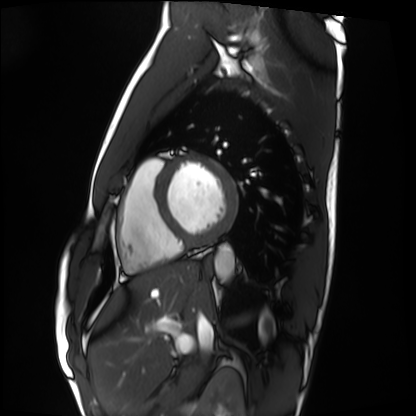
Summary: Cardiac MRI. Subject group: healthy volunteer.